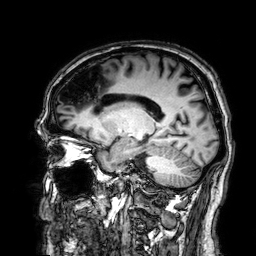
3 Tesla brain MRI.
Series: 3D T1-weighted.
Study: ring-enhancing brain masses.